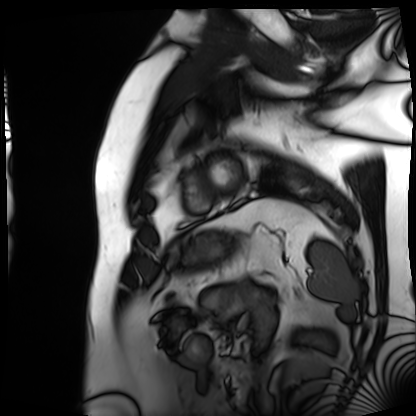
Cardiac MRI. Subject group: patient.